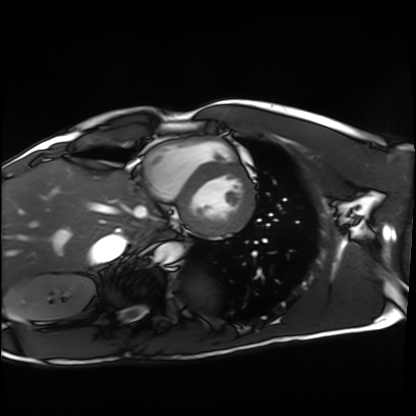
modality=cardiac MRI; subject group=healthy volunteer.